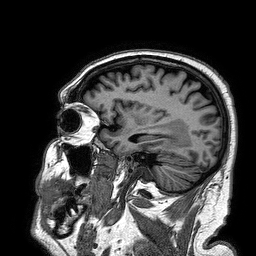
<scan>
<modality>
  <type>brain MRI</type>
  <field_strength>3T</field_strength>
</modality>
<series>3D T1-weighted turbo field echo</series>
<study_topic>ring-enhancing brain masses</study_topic>
</scan>